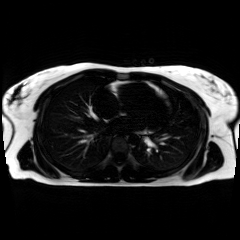
Q: What kind of scan is this?
A: Chemical-shift-encoded cardiac MRI.